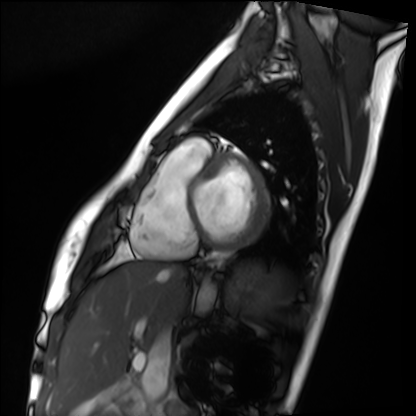
Summary: Cardiac MRI. Subject group: healthy volunteer.